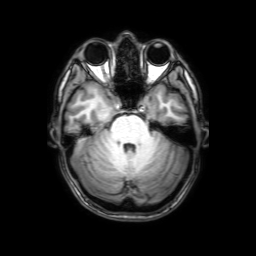
modality: 3 Tesla brain MRI | series: 3D T1-weighted with SENSE | study: ring-enhancing brain masses.